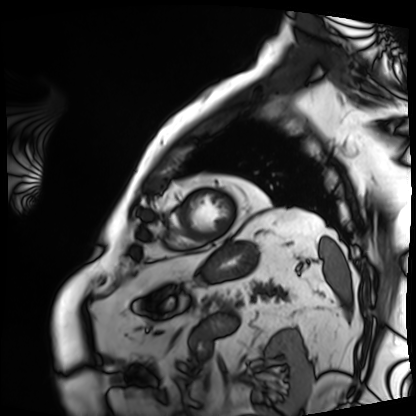
| field | value |
|---|---|
| modality | cardiac MRI |
| subject group | patient |